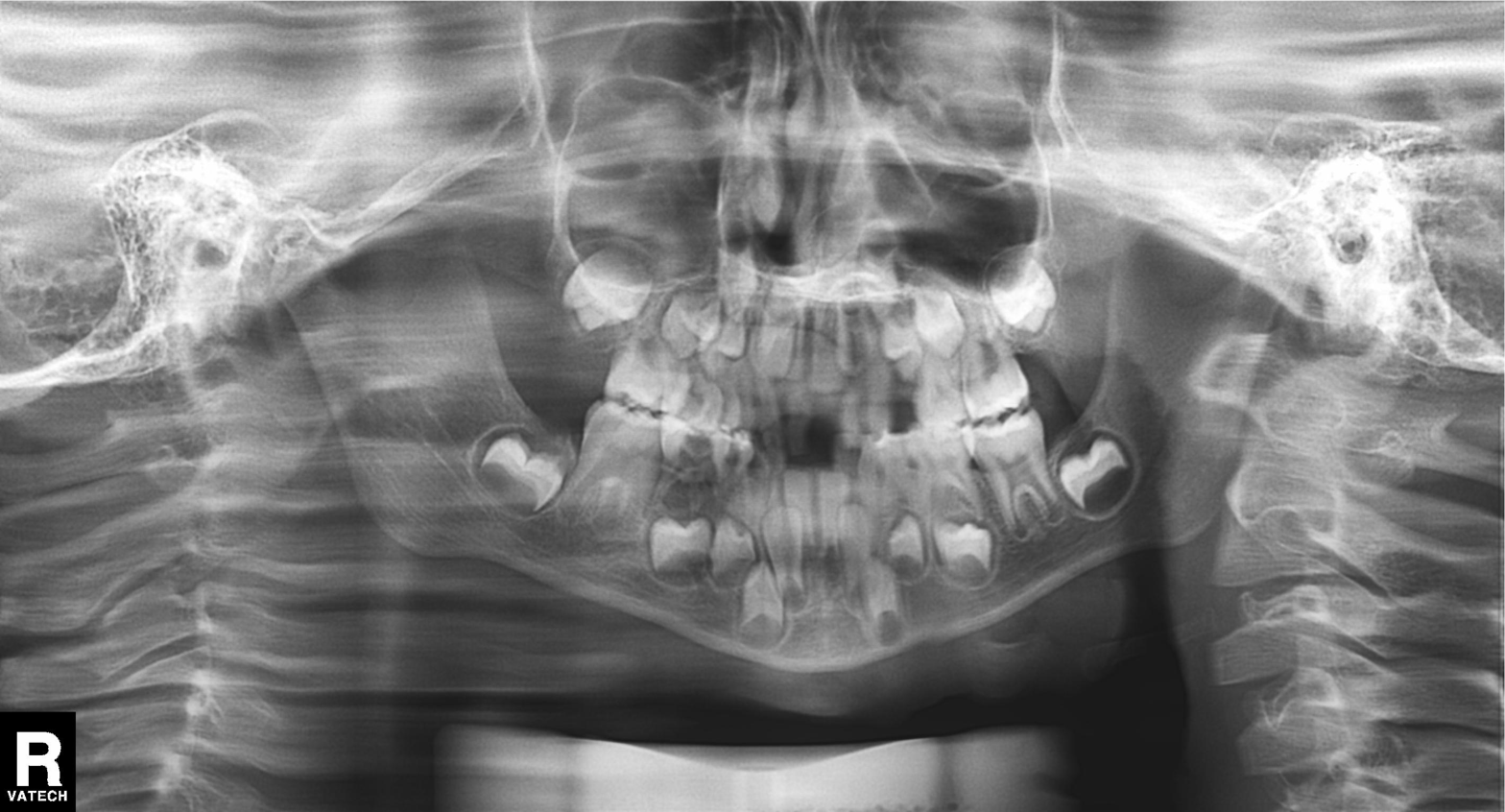
Panoramic dental radiograph (orthopantomogram). Finding: alveolar bone loss.